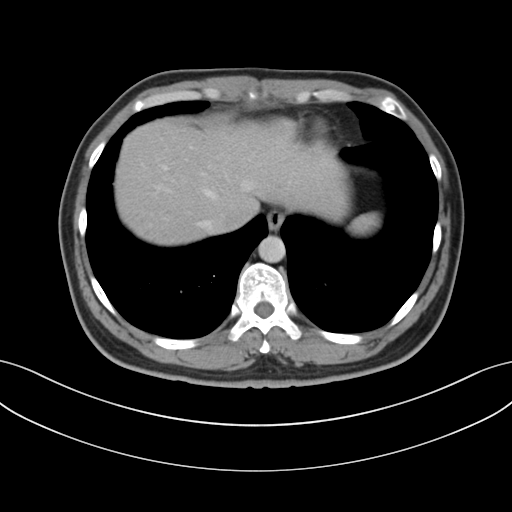
Multiphase abdominal CT, liver, portal venous phase.
Patient: male, age 38.